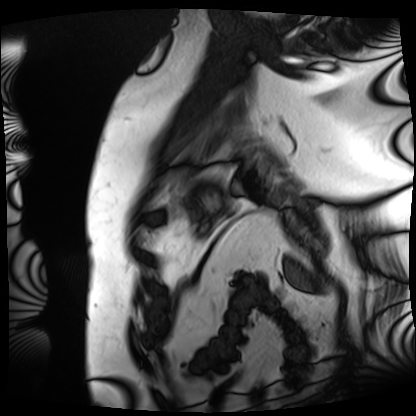
Cardiac MRI.
Subject group: patient.